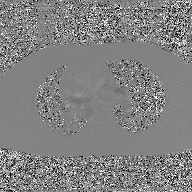
| field | value |
|---|---|
| modality | 2D phase-contrast cine MRI of the ascending aorta, GAN super-resolution reconstruction |